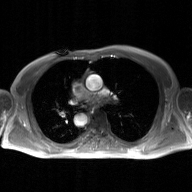
Clinical context: 2D phase-contrast cine MRI of the ascending aorta, GAN super-resolution reconstruction.